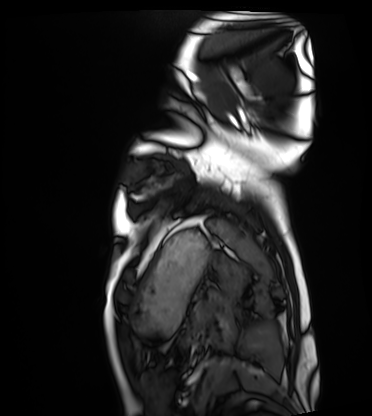
Cardiac MRI. Subject group: healthy volunteer.